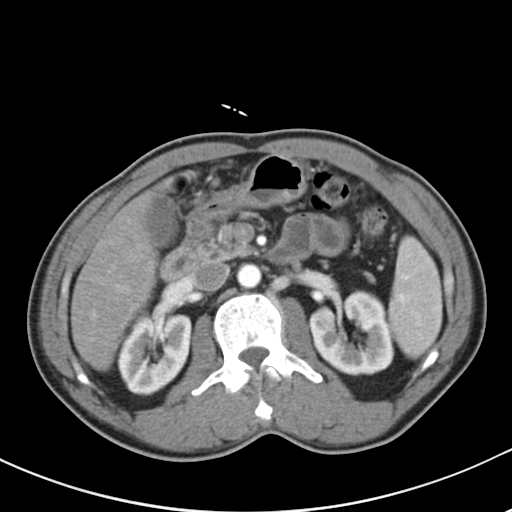
Multiphase abdominal CT, liver, arterial phase. Patient: male, age 52. History: cirrhosis, viral hepatitis.